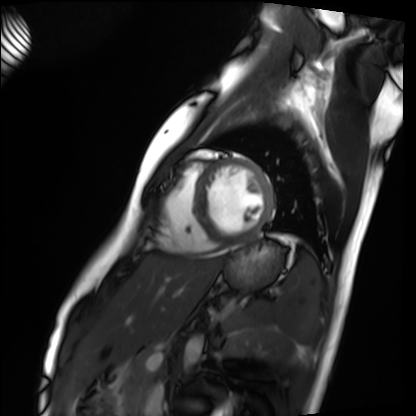
Cardiac MRI. Subject group: healthy volunteer.